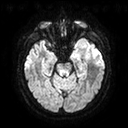
modality:
  type: brain MRI
  field_strength: 3T
series: diffusion tensor imaging (medium iso)
study_topic: ring-enhancing brain masses